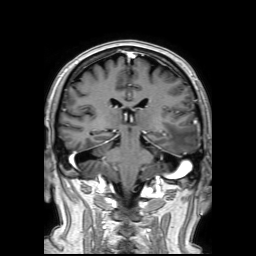
3 Tesla brain MRI. Series: 3D T1-weighted TFE with SENSE. Study: ring-enhancing brain masses.